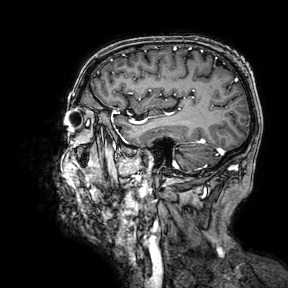
modality=3 Tesla brain MRI; series=3D T1-weighted turbo field echo with SENSE; study=ring-enhancing brain masses.